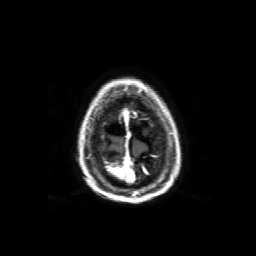
modality: 3 Tesla brain MRI
series: 3D T1-weighted with SENSE
study: ring-enhancing brain masses